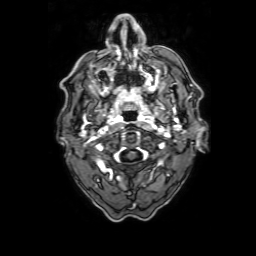
Case:
* modality · 3 Tesla brain MRI
* series · 3D T1-weighted with SENSE
* study · ring-enhancing brain masses